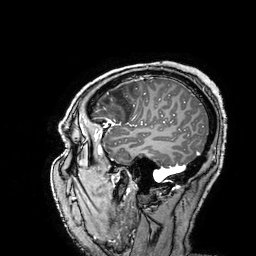
modality = 3 Tesla brain MRI; series = 3D T1-weighted turbo field echo with SENSE; study = ring-enhancing brain masses.